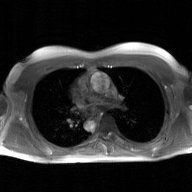
2D phase-contrast cine MRI of the ascending aorta, GAN super-resolution reconstruction.